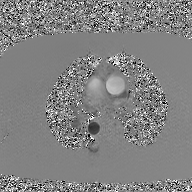
Summary: 2D phase-contrast cine MRI of the ascending aorta, GAN super-resolution reconstruction.